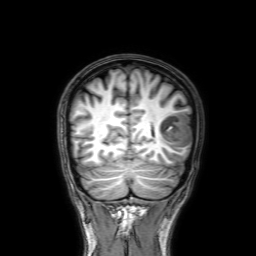
Q: What kind of scan is this?
A: 3 Tesla brain MRI.
Q: Series?
A: 3D T1-weighted with SENSE.
Study: ring-enhancing brain masses.